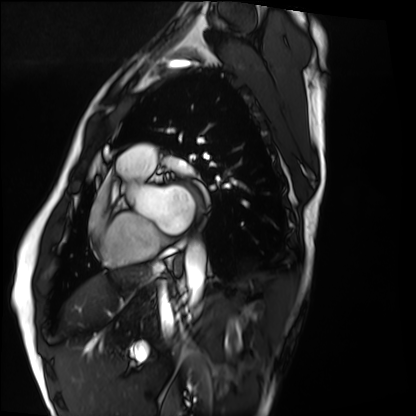
Cardiac MRI. Subject group: healthy volunteer.